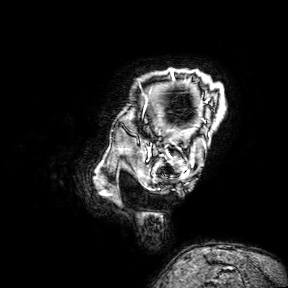
3 Tesla brain MRI.
Series: 3D T1-weighted turbo field echo with SENSE.
Study: ring-enhancing brain masses.